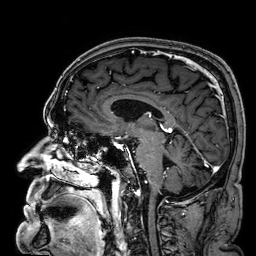
modality: 3 Tesla brain MRI | series: 3D T1-weighted | study: ring-enhancing brain masses.